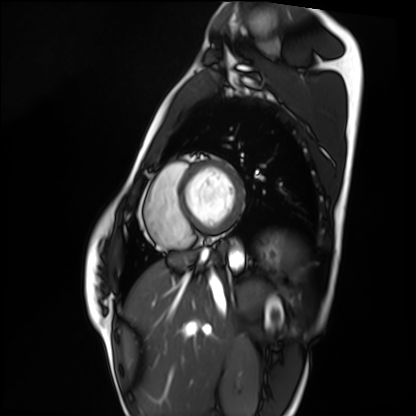
Summary:
Cardiac MRI. Subject group: healthy volunteer.